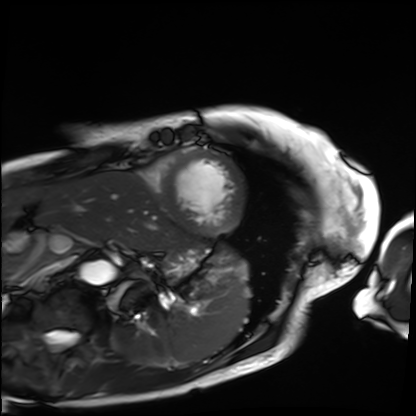
Cardiac MRI.
Subject group: patient.